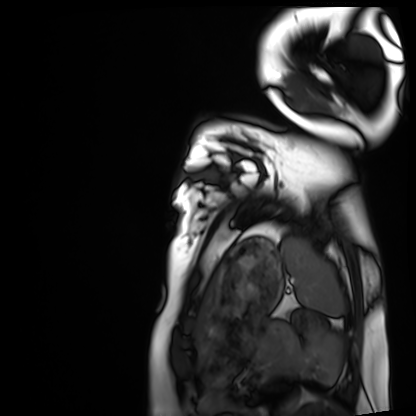
Case:
- modality · cardiac MRI
- subject group · healthy volunteer